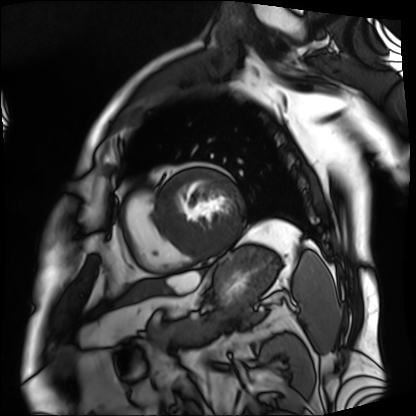
modality: cardiac MRI
subject group: patient